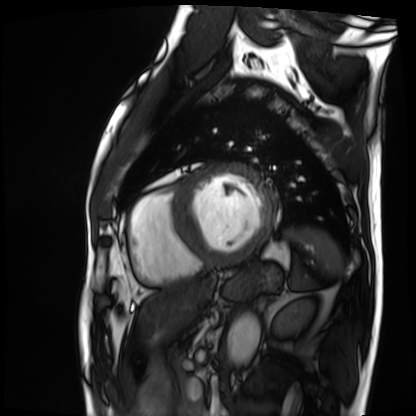
| field | value |
|---|---|
| modality | cardiac MRI |
| subject group | patient |